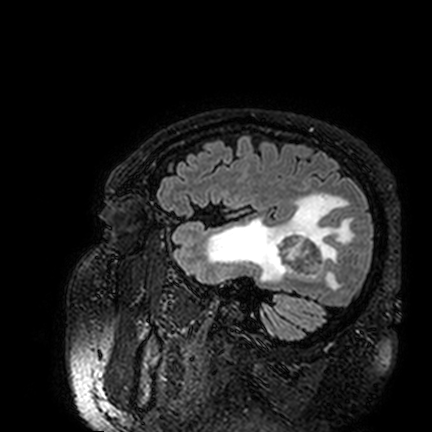
modality — 3 Tesla brain MRI
series — FLAIR VISTA
study — ring-enhancing brain masses